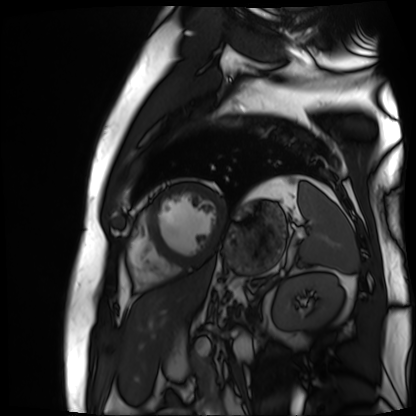
Q: What kind of scan is this?
A: Cardiac MR image of the myocardium.
Subject cohort: cardiac patient.